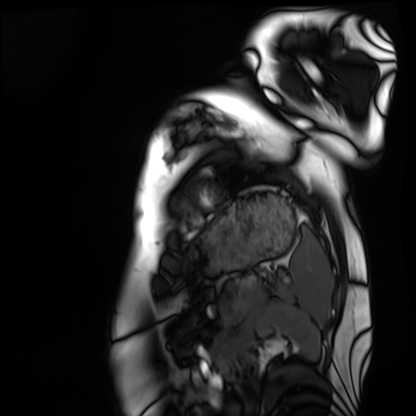
Cardiac MRI. Subject group: healthy volunteer.